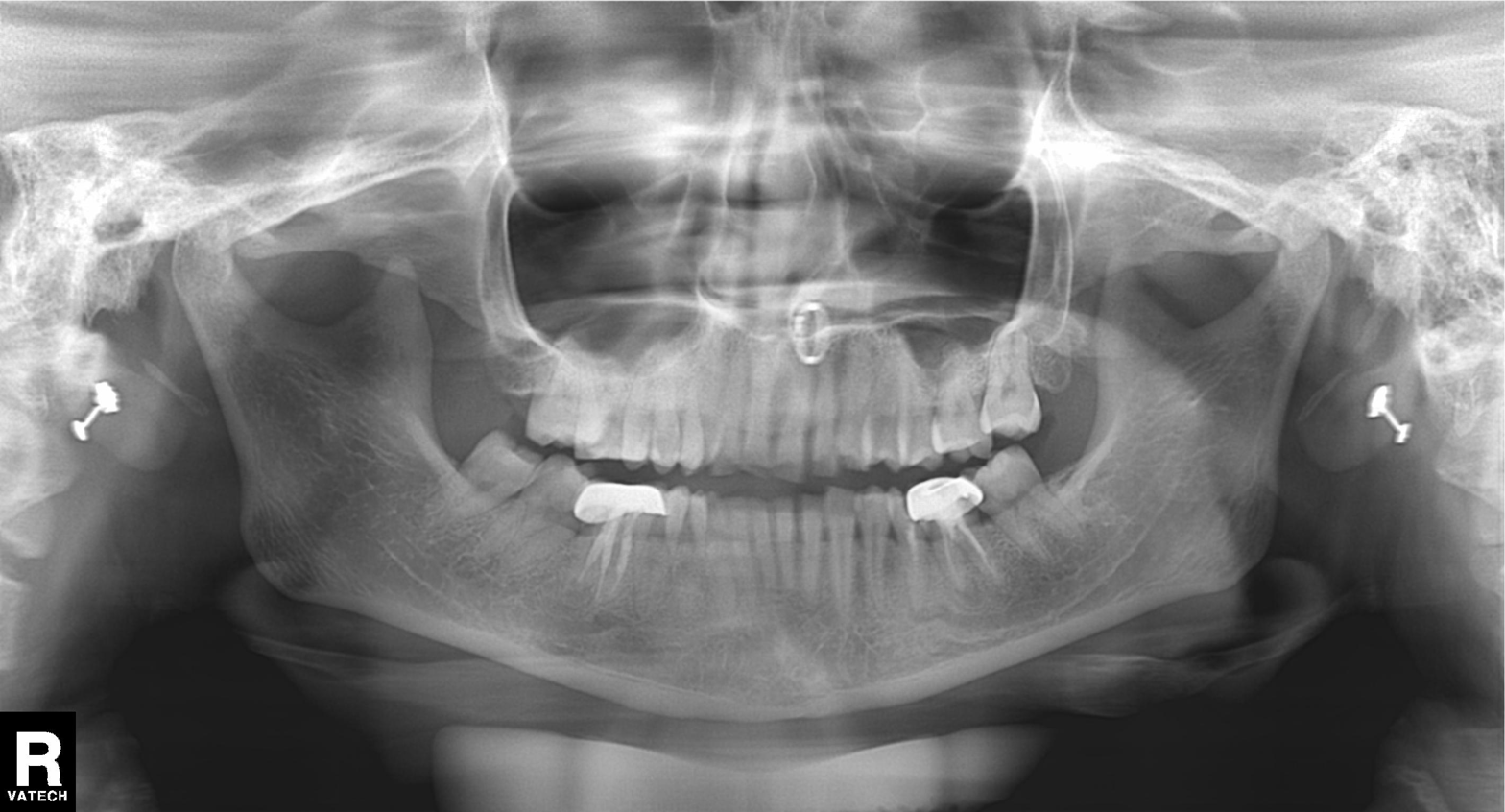
| field | value |
|---|---|
| modality | panoramic dental radiograph (orthopantomogram) |
| finding | dental caries (cavities) |